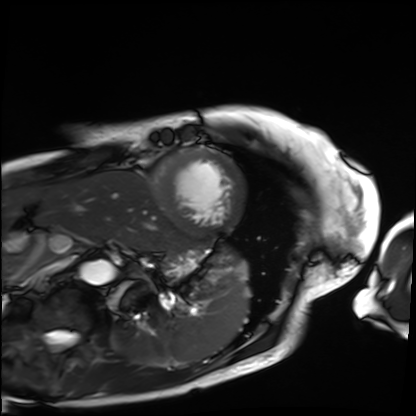
Cardiac MRI. Subject group: patient.